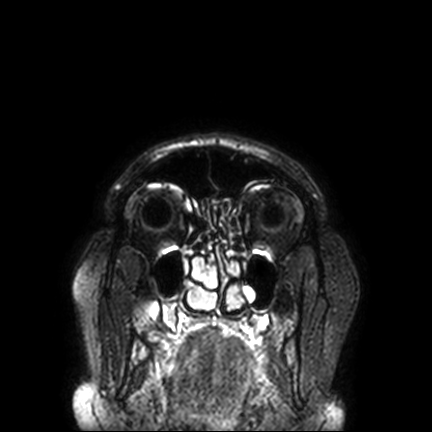
Q: What kind of scan is this?
A: 3 Tesla brain MRI.
Q: Series?
A: FLAIR VISTA with SENSE.
Study: ring-enhancing brain masses.